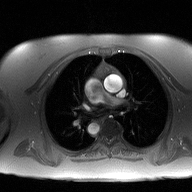
Q: What kind of scan is this?
A: 2D phase-contrast cine MRI of the ascending aorta.